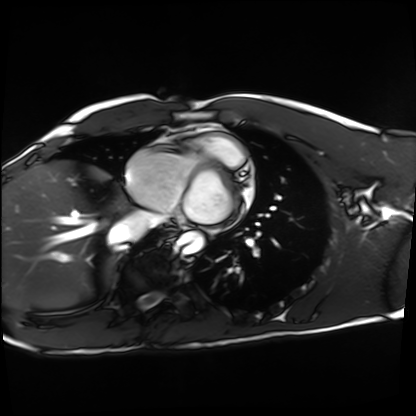
Cardiac MRI. Subject group: healthy volunteer.